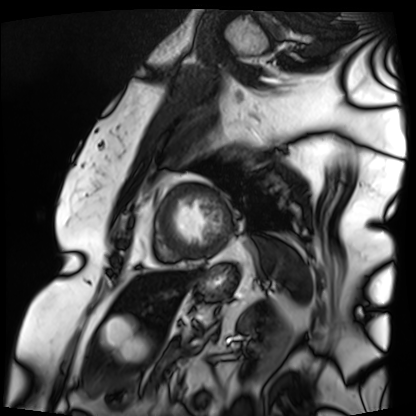
Cardiac MRI. Subject group: patient.